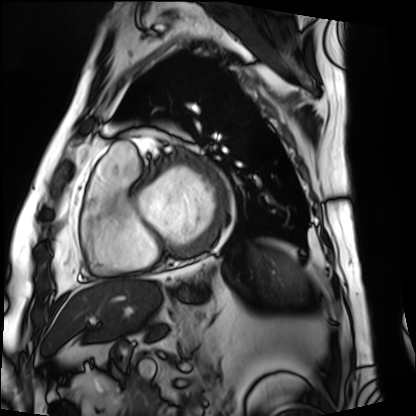
Summary:
Cardiac MRI. Subject group: patient.